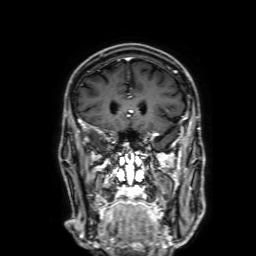
3 Tesla brain MRI. Series: 3D T1-weighted with SENSE. Study: ring-enhancing brain masses.